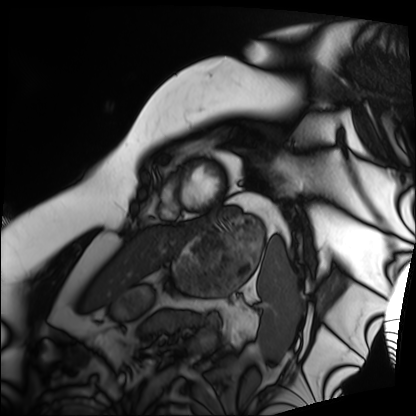
- modality · cardiac MRI
- subject group · patient